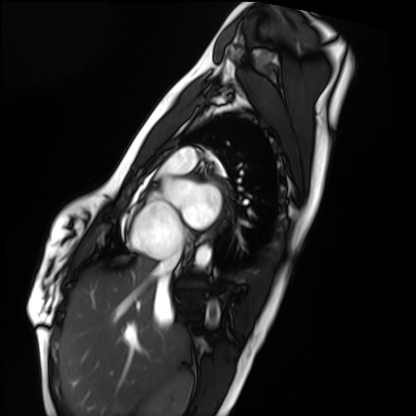
Cardiac MRI. Subject group: healthy volunteer.